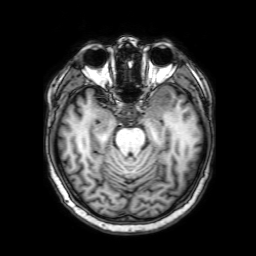
3 Tesla brain MRI. Series: 3D T1-weighted with SENSE. Study: ring-enhancing brain masses.